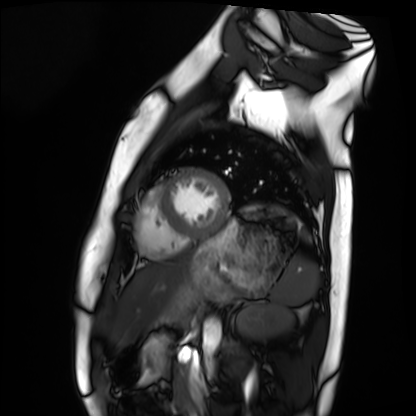
{
  "modality": "cardiac MRI",
  "cohort": "healthy volunteer"
}